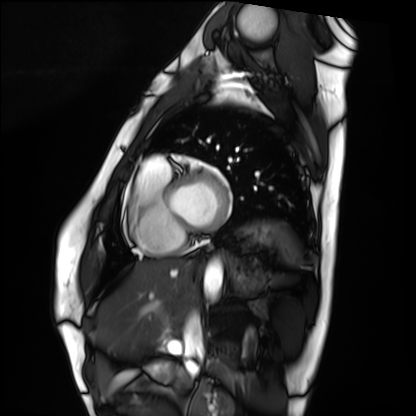
  modality: cardiac MRI
  cohort: healthy volunteer